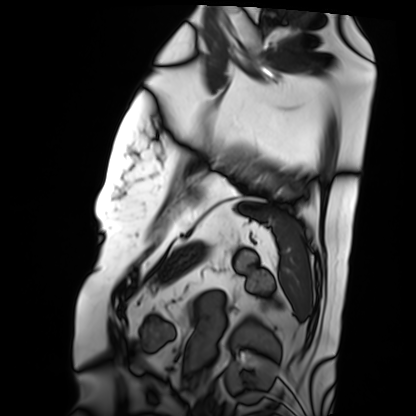
Q: What kind of scan is this?
A: Cardiac MRI.
Subject group: patient.